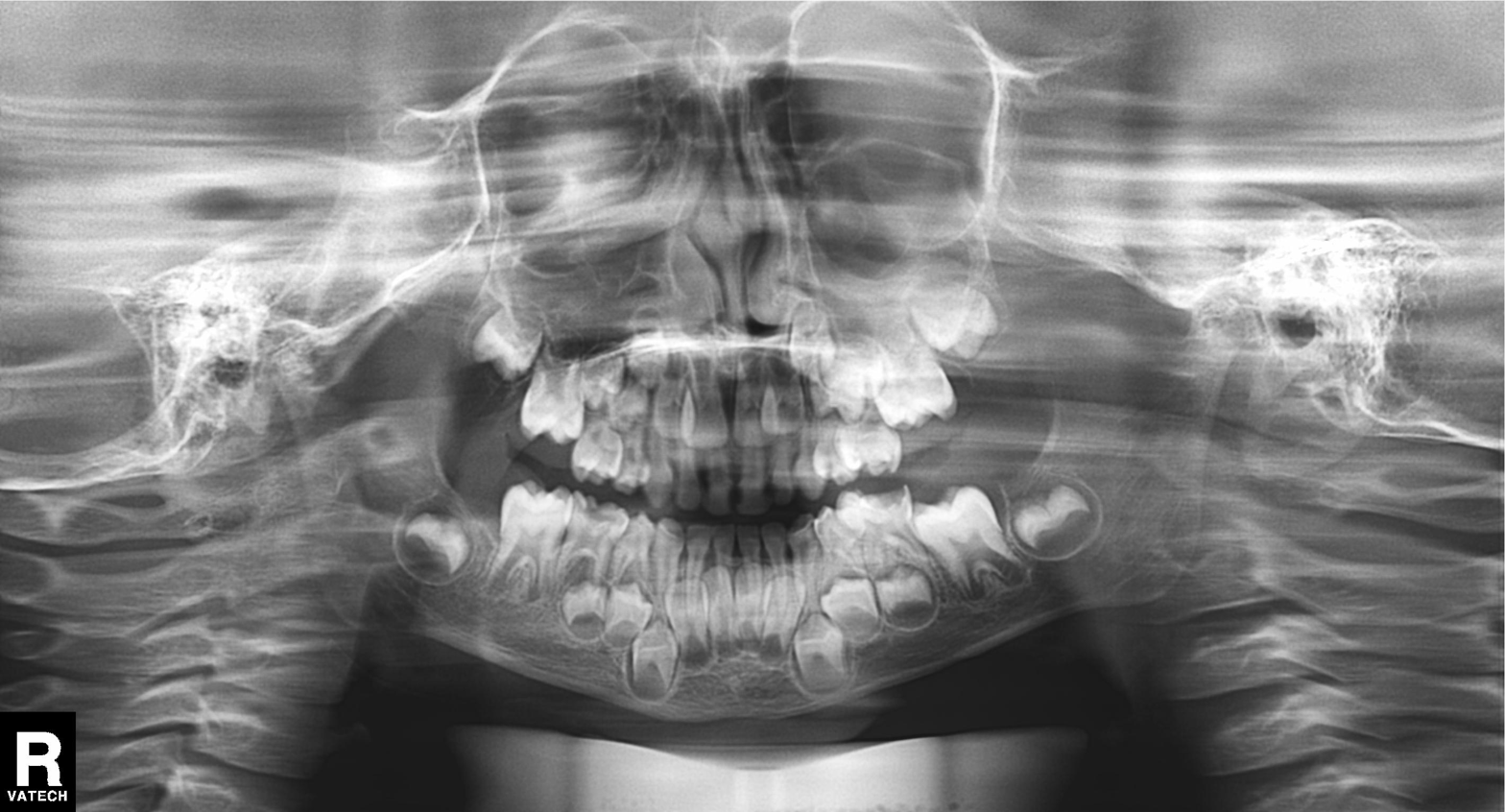
Case:
- modality: panoramic dental radiograph (orthopantomogram)
- finding: alveolar bone loss